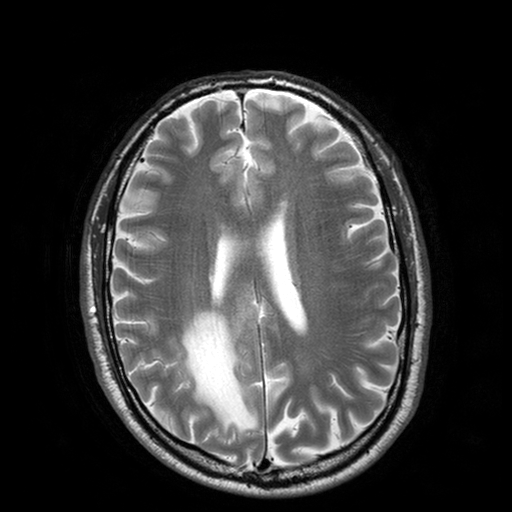
3 Tesla brain MRI.
Series: T2-weighted turbo spin echo with SENSE.
Study: ring-enhancing brain masses.